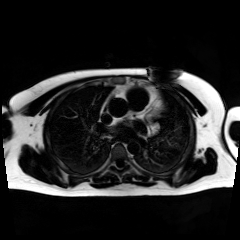
modality: chemical-shift-encoded cardiac MRI